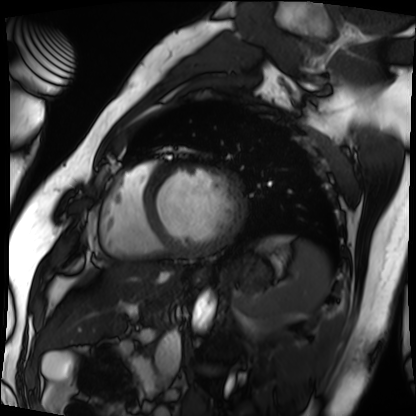
Cardiac MRI. Subject group: patient.